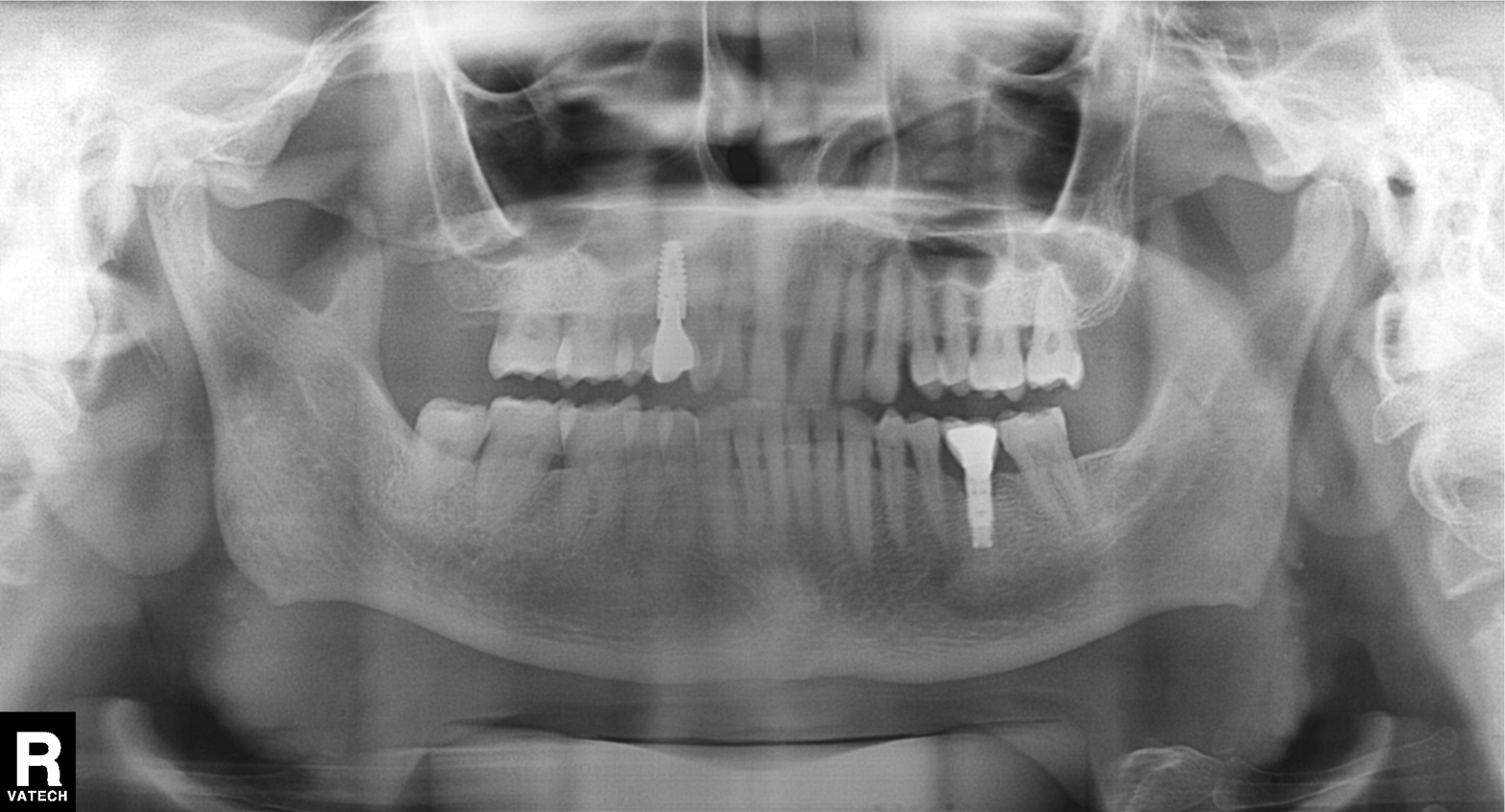
modality: panoramic dental radiograph (orthopantomogram) | finding: dental caries (cavities).